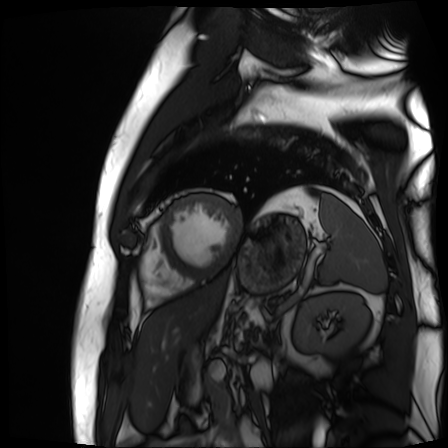
Cardiac MR image of the myocardium. Subject cohort: cardiac patient.